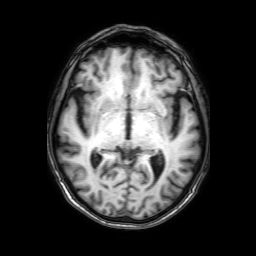
| field | value |
|---|---|
| modality | 3 Tesla brain MRI |
| series | 3D T1-weighted with SENSE |
| study | ring-enhancing brain masses |